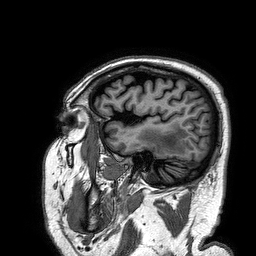
3 Tesla brain MRI. Series: 3D T1-weighted turbo field echo. Study: ring-enhancing brain masses.